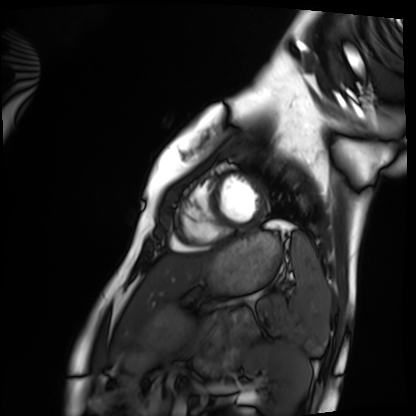
Cardiac MRI. Subject group: healthy volunteer.